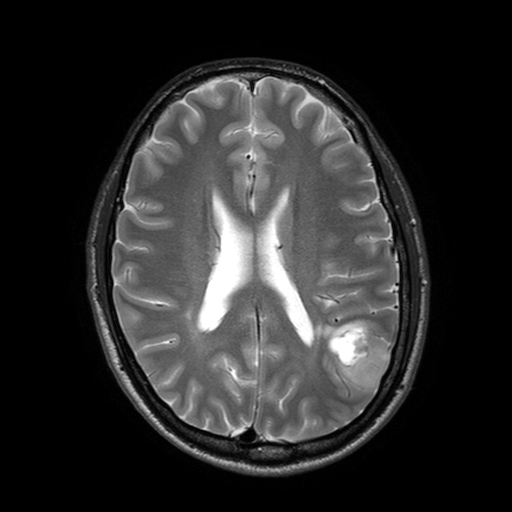
Clinical context: 3 Tesla brain MRI. Series: T2-weighted turbo spin echo with SENSE. Study: ring-enhancing brain masses.